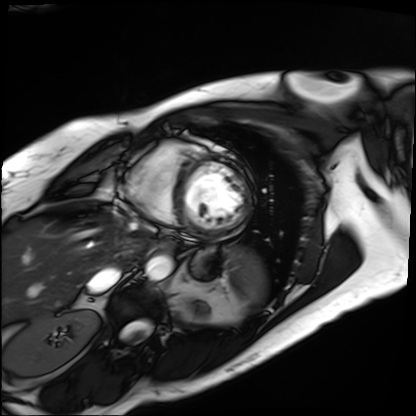
Summary: Cardiac MRI. Subject group: patient.